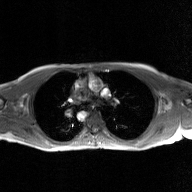
modality: 2D phase-contrast cine MRI of the ascending aorta, GAN super-resolution reconstruction.